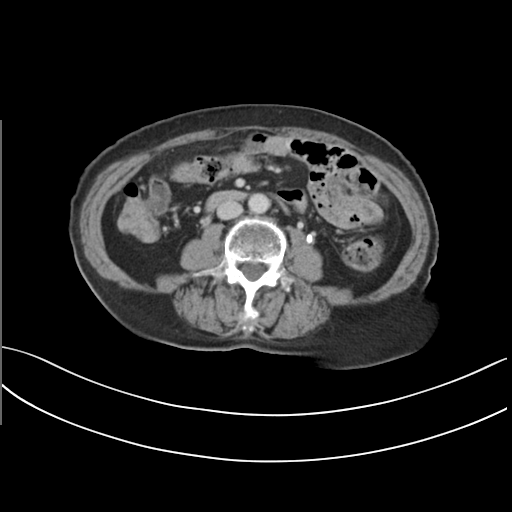
Multiphase abdominal CT, liver, delayed phase.
Patient: female, age 68.
History: prior chemotherapy.